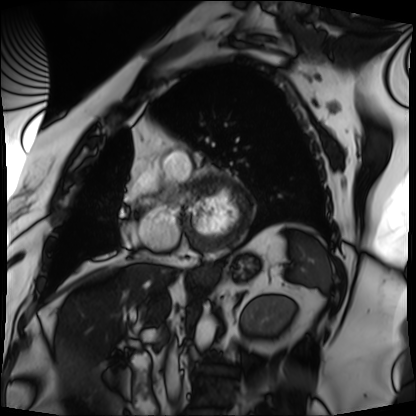
* modality · cardiac MRI
* subject group · patient